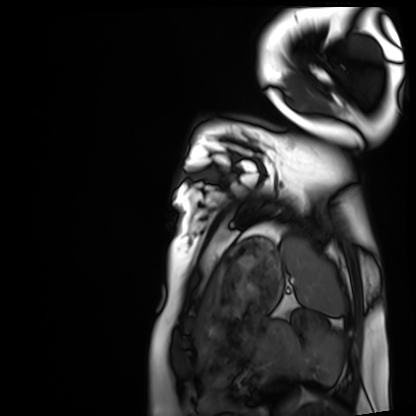
Case summary: Cardiac MRI. Subject group: healthy volunteer.